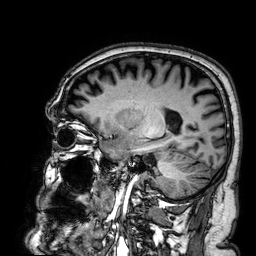
3 Tesla brain MRI. Series: 3D T1-weighted. Study: ring-enhancing brain masses.